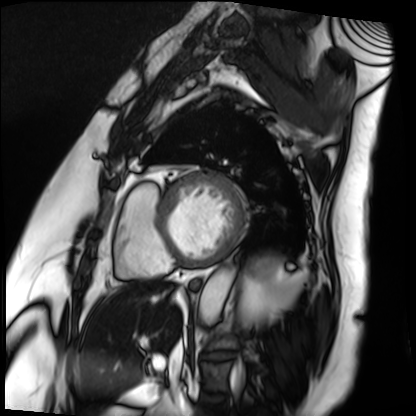
Cardiac MRI. Subject group: patient.